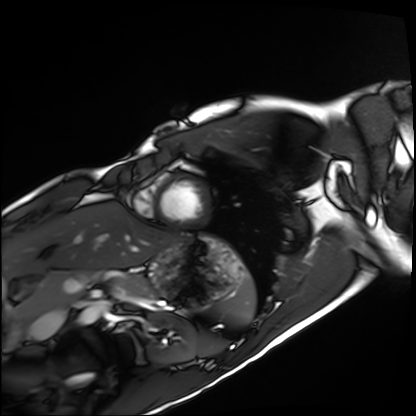
Cardiac MRI.
Subject group: healthy volunteer.